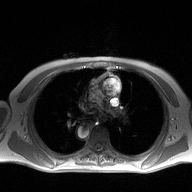
| field | value |
|---|---|
| modality | 2D phase-contrast cine MRI of the ascending aorta |